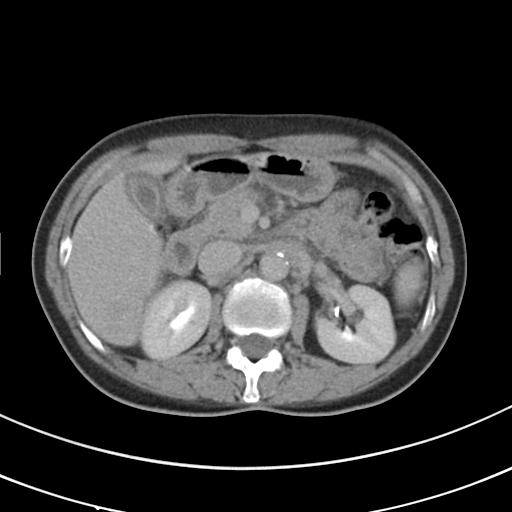
Clinical context: Multiphase abdominal CT, liver, delayed phase. Patient: female, age 50.